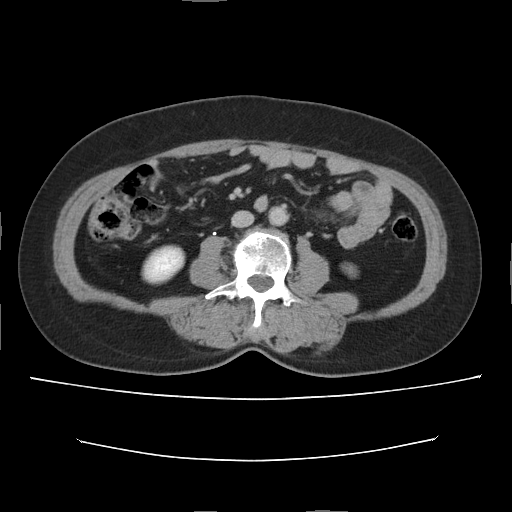
Multiphase abdominal CT, liver, delayed phase. Patient: female, age 56. History: cirrhosis, prior chemotherapy.